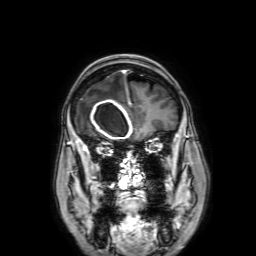
Q: What kind of scan is this?
A: 3 Tesla brain MRI.
Q: Series?
A: 3D T1-weighted with SENSE.
Study: ring-enhancing brain masses.